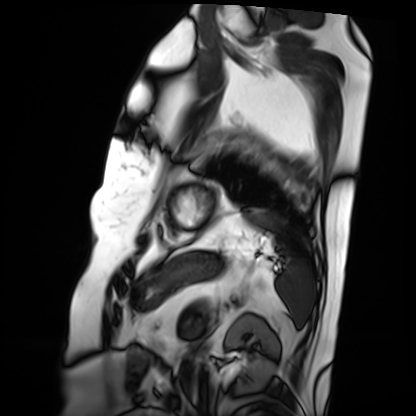
modality=cardiac MRI
subject group=patient